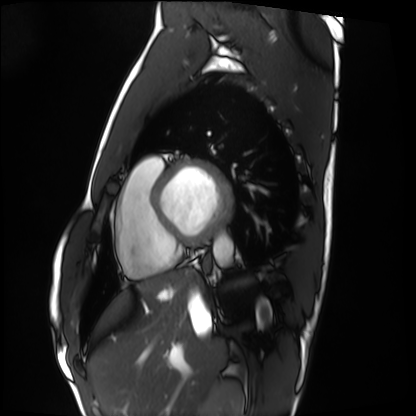
Cardiac MRI. Subject group: healthy volunteer.